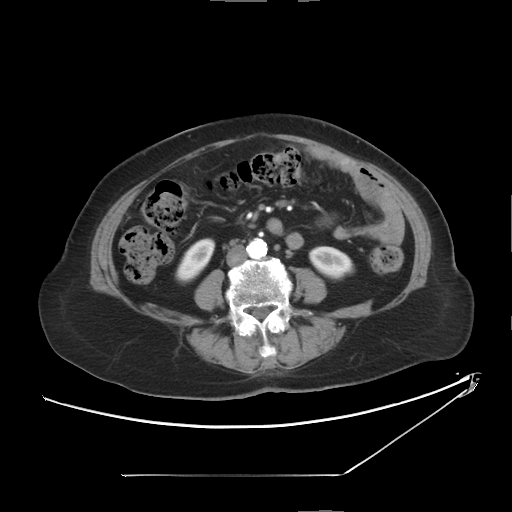
Multiphase abdominal CT, liver, arterial phase.
Patient: female, age 72.